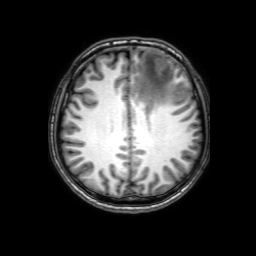
3 Tesla brain MRI.
Series: 3D T1-weighted with SENSE.
Study: ring-enhancing brain masses.